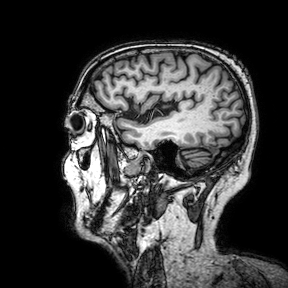
Case:
- modality: 3 Tesla brain MRI
- series: 3D T1-weighted turbo field echo with SENSE
- study: ring-enhancing brain masses